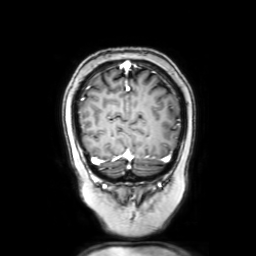
3 Tesla brain MRI. Series: coronal with contrast. Study: ring-enhancing brain masses.